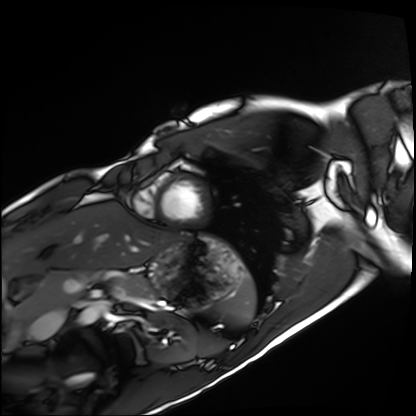
modality=cardiac MRI; subject group=healthy volunteer.